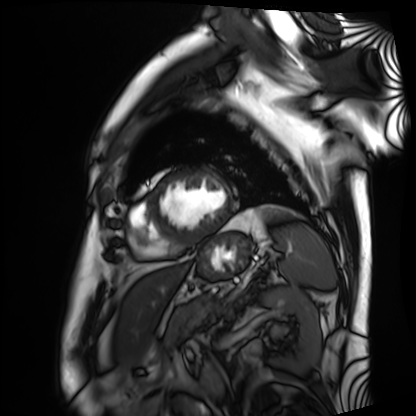
Cardiac MRI.
Subject group: patient.